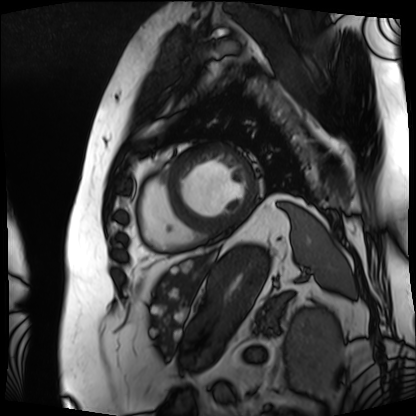
Cardiac MRI.
Subject group: patient.